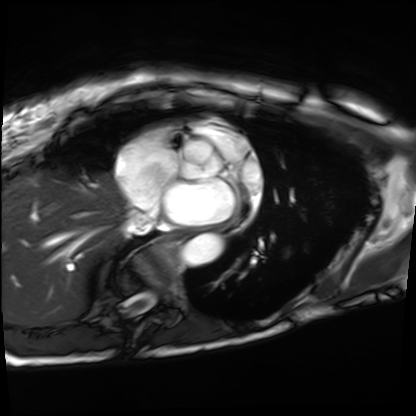
modality: cardiac MRI
cohort: patient